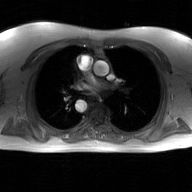
Case:
* modality — 2D phase-contrast cine MRI of the ascending aorta, GAN super-resolution reconstruction